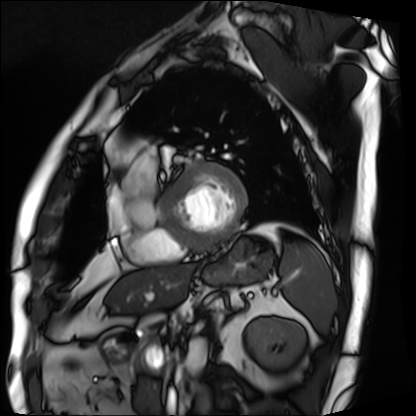
Cardiac MRI.
Subject group: patient.